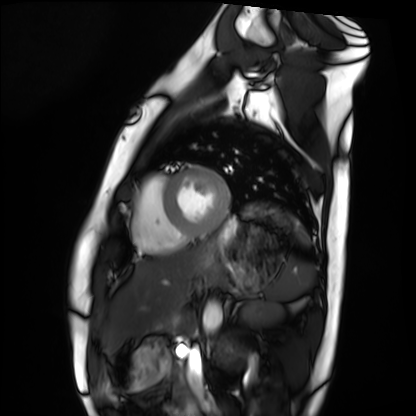
modality: cardiac MRI
cohort: healthy volunteer